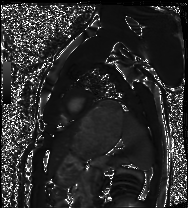
Cardiac MRI. Subject group: healthy volunteer.